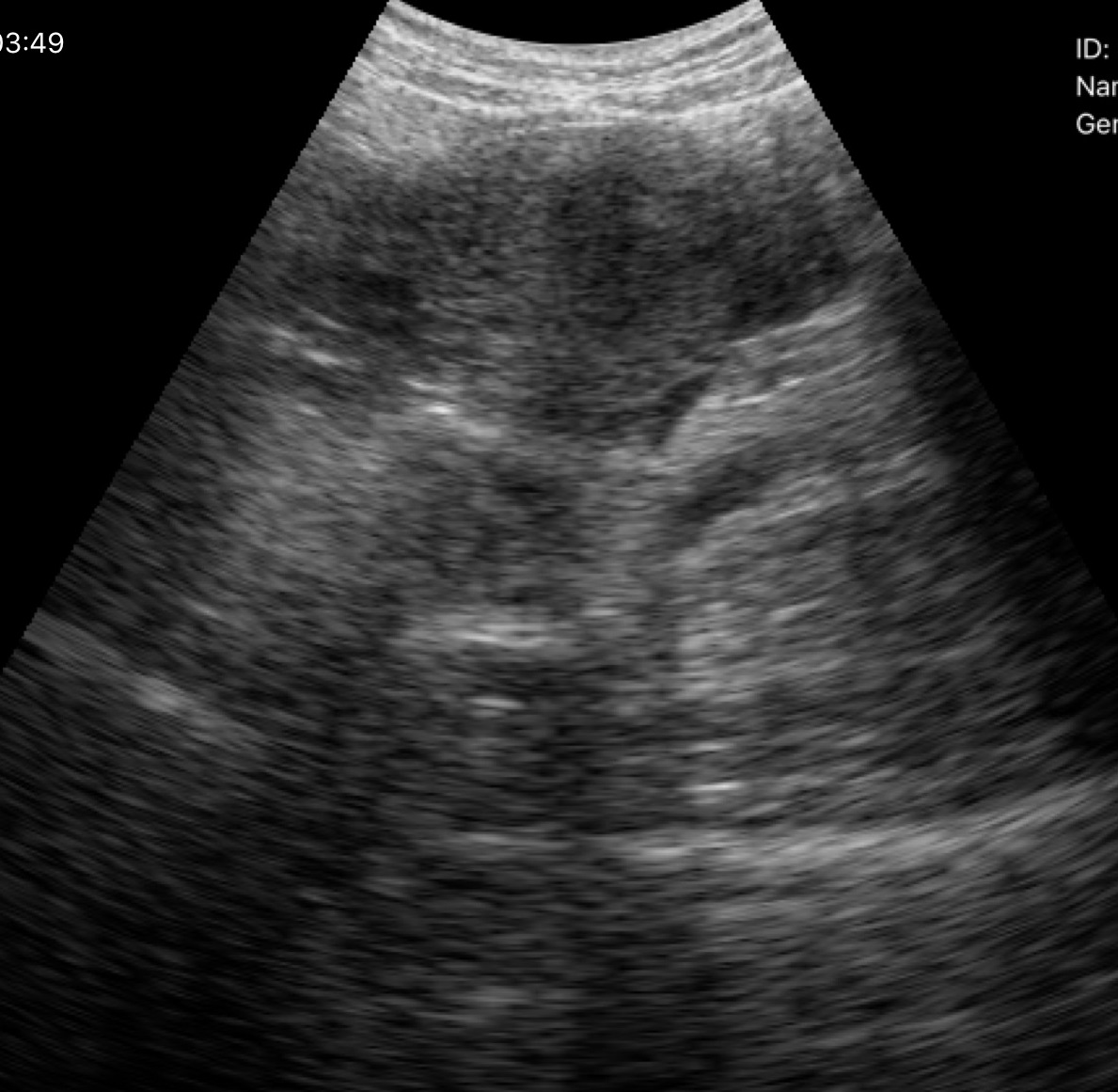
modality: genitourinary ultrasound.